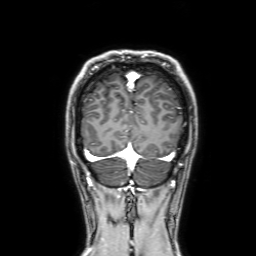
Case:
– modality: 3 Tesla brain MRI
– series: 3D T1-weighted with SENSE
– study: ring-enhancing brain masses